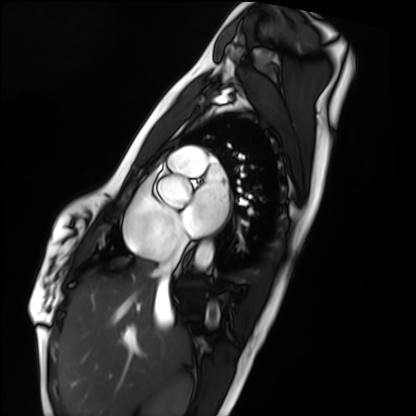
modality: cardiac MRI; subject group: healthy volunteer.